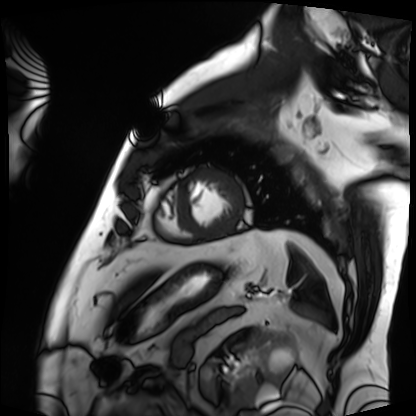
modality = cardiac MRI; subject group = patient.